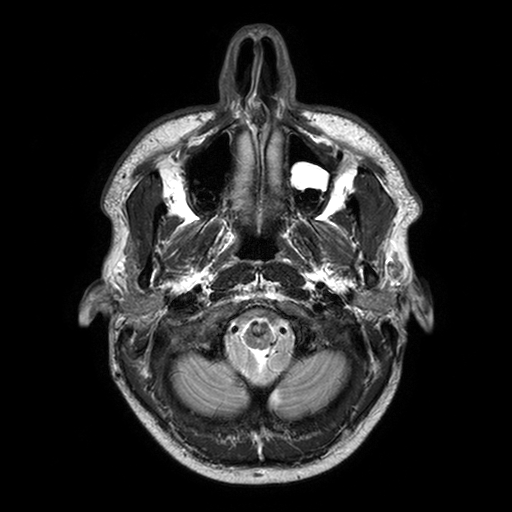
modality = 3 Tesla brain MRI | series = T2-weighted turbo spin echo with SENSE | study = ring-enhancing brain masses.